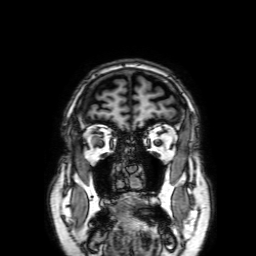
3 Tesla brain MRI. Series: 3D T1-weighted with SENSE. Study: ring-enhancing brain masses.